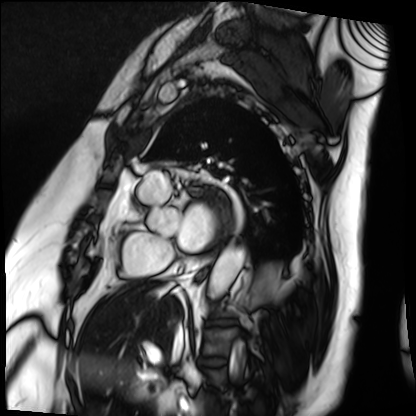
Cardiac MRI. Subject group: patient.